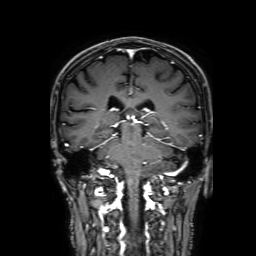
modality = 3 Tesla brain MRI; series = 3D T1-weighted with SENSE; study = ring-enhancing brain masses.